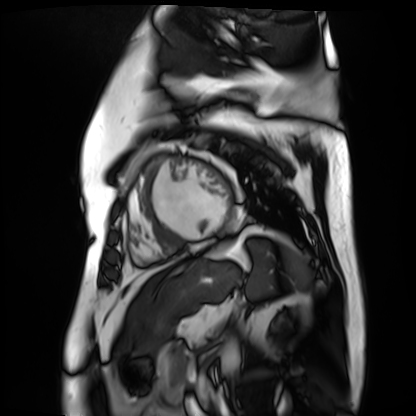
modality: cardiac MR image of the myocardium; subject cohort: cardiac patient.